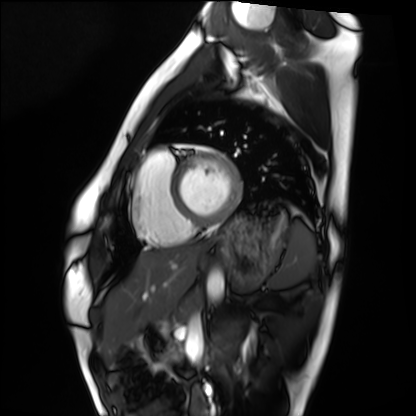
Cardiac MRI. Subject group: healthy volunteer.